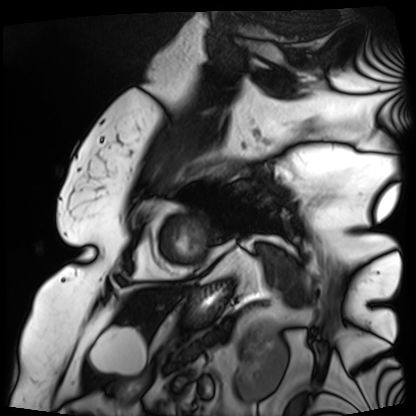
Q: What kind of scan is this?
A: Cardiac MRI.
Subject group: patient.